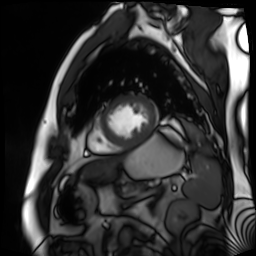
Cardiac MR image of the myocardium. Subject cohort: cardiac patient.